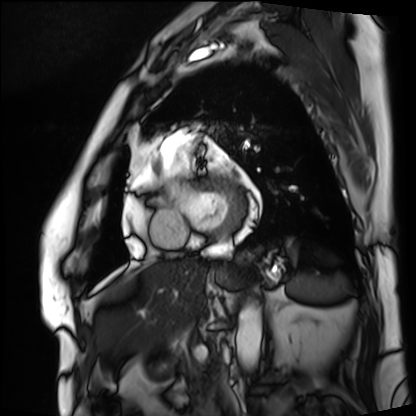
Cardiac MRI. Subject group: patient.